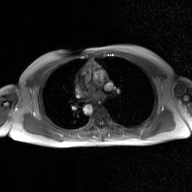
| field | value |
|---|---|
| modality | 2D phase-contrast cine MRI of the ascending aorta, GAN super-resolution reconstruction |